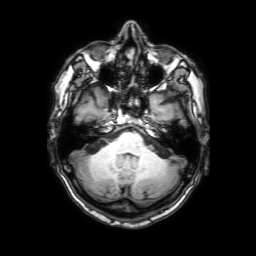
3 Tesla brain MRI. Series: 3D T1-weighted with SENSE. Study: ring-enhancing brain masses.